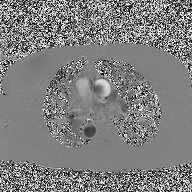
2D phase-contrast cine MRI of the ascending aorta, high-resolution GRAPPA acquisition.